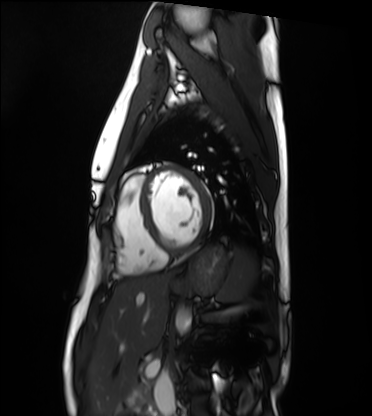
Cardiac MRI.
Subject group: healthy volunteer.